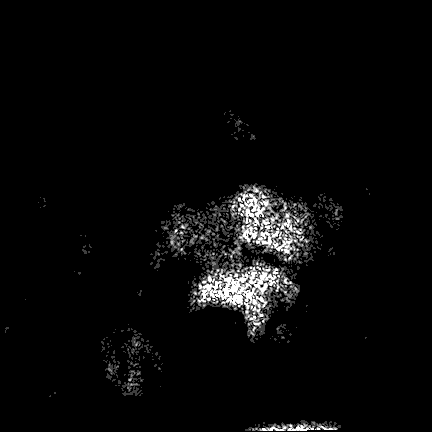
Case:
* modality: 3 Tesla brain MRI
* series: FLAIR VISTA
* study: ring-enhancing brain masses